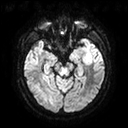
modality = 3 Tesla brain MRI | series = diffusion tensor imaging (medium iso) | study = ring-enhancing brain masses.